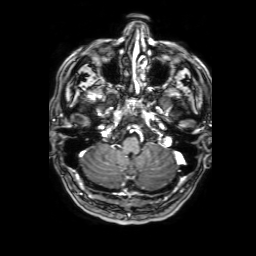
modality: 3 Tesla brain MRI
series: 3D T1-weighted with SENSE
study: ring-enhancing brain masses